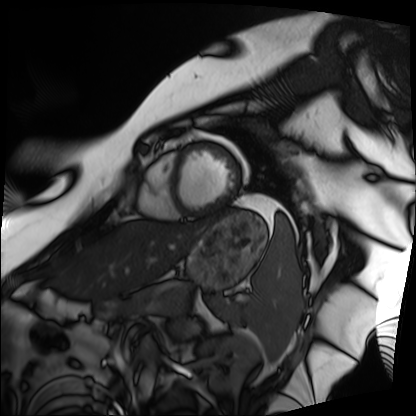
Case summary:
Cardiac MRI. Subject group: patient.